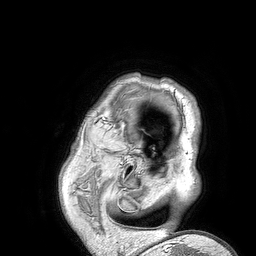
3 Tesla brain MRI. Study: ring-enhancing brain masses.